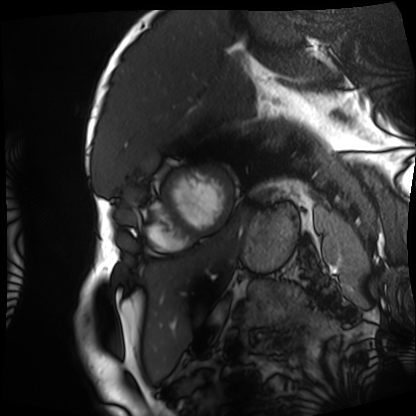
Cardiac MRI. Subject group: patient.